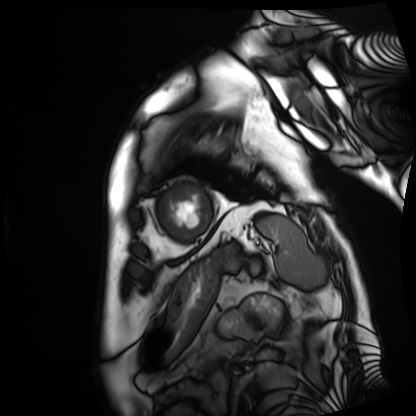
Case summary: Cardiac MRI. Subject group: patient.